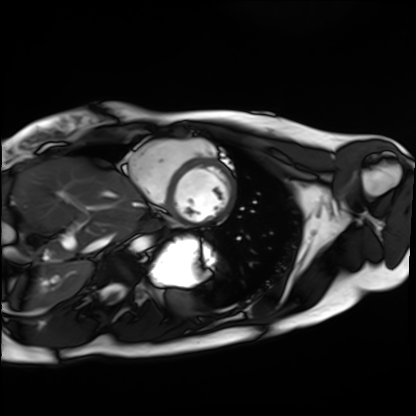
modality: cardiac MRI
cohort: healthy volunteer